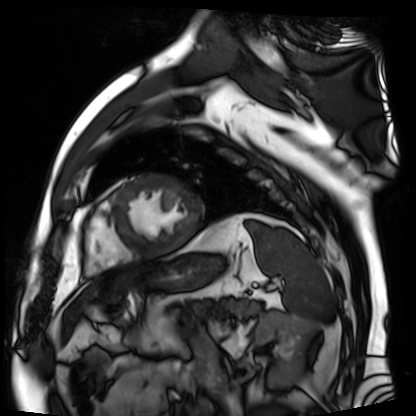
modality — cardiac MR image of the myocardium | subject cohort — cardiac patient.